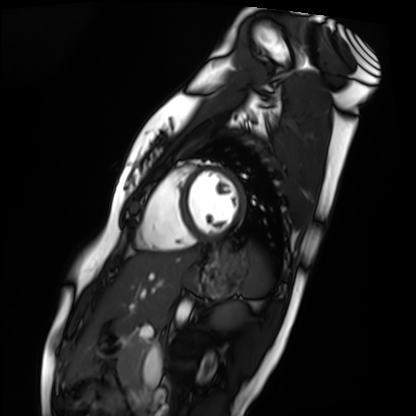
modality: cardiac MRI
cohort: healthy volunteer